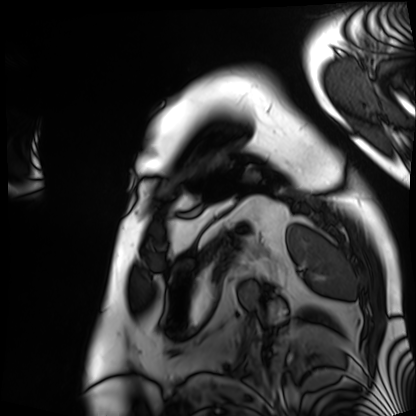
Cardiac MRI. Subject group: patient.